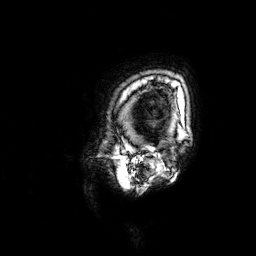
| field | value |
|---|---|
| modality | 3 Tesla brain MRI |
| study | ring-enhancing brain masses |